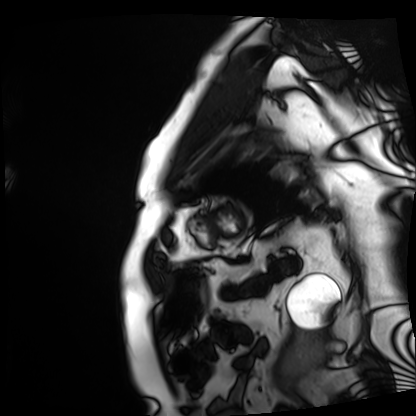
Q: What kind of scan is this?
A: Cardiac MRI.
Subject group: patient.